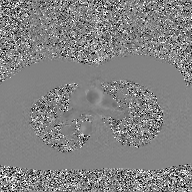
* modality: 2D phase-contrast cine MRI of the ascending aorta, GAN super-resolution reconstruction